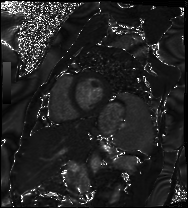
Case summary: Cardiac MRI. Subject group: patient.